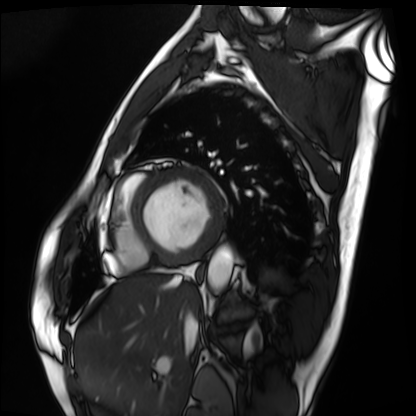
Cardiac MRI.
Subject group: patient.